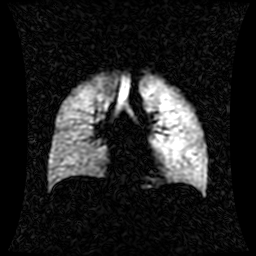
modality: hyperpolarized 129Xe ventilation MRI of the lungs, SNR level: 1 of 8 (the deposit holds this scan as its native image and as seven SNR-degraded versions).